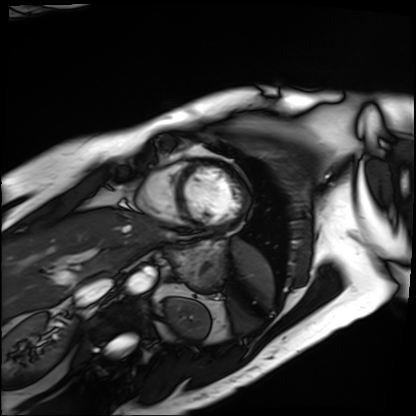
Cardiac MRI. Subject group: patient.